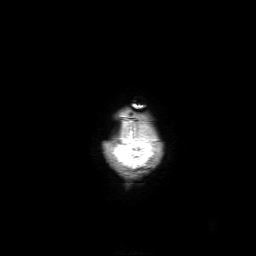
Case summary:
3 Tesla brain MRI. Series: 3D T1-weighted with SENSE. Study: ring-enhancing brain masses.